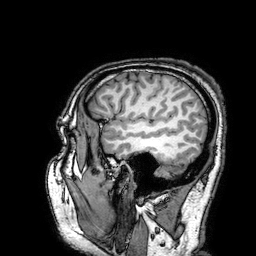
{"modality": {"type": "brain MRI", "field_strength": "3T"}, "series": "3D T1-weighted turbo field echo with SENSE", "study_topic": "ring-enhancing brain masses"}